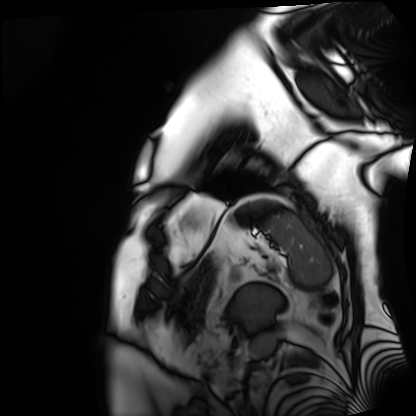
Cardiac MRI.
Subject group: patient.